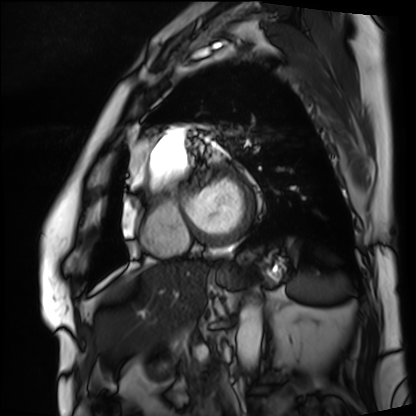
  modality: cardiac MRI
  cohort: patient